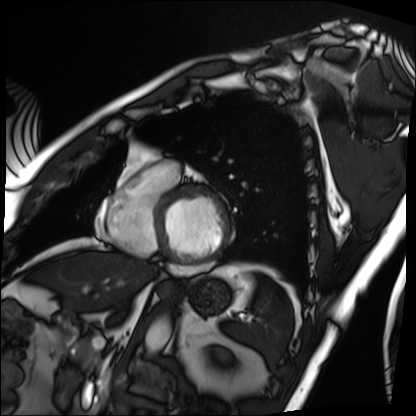
Cardiac MRI. Subject group: patient.